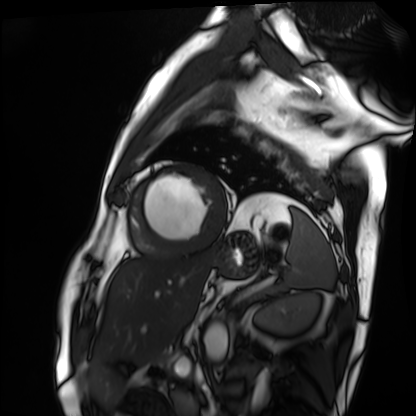
modality = cardiac MRI; subject group = patient.